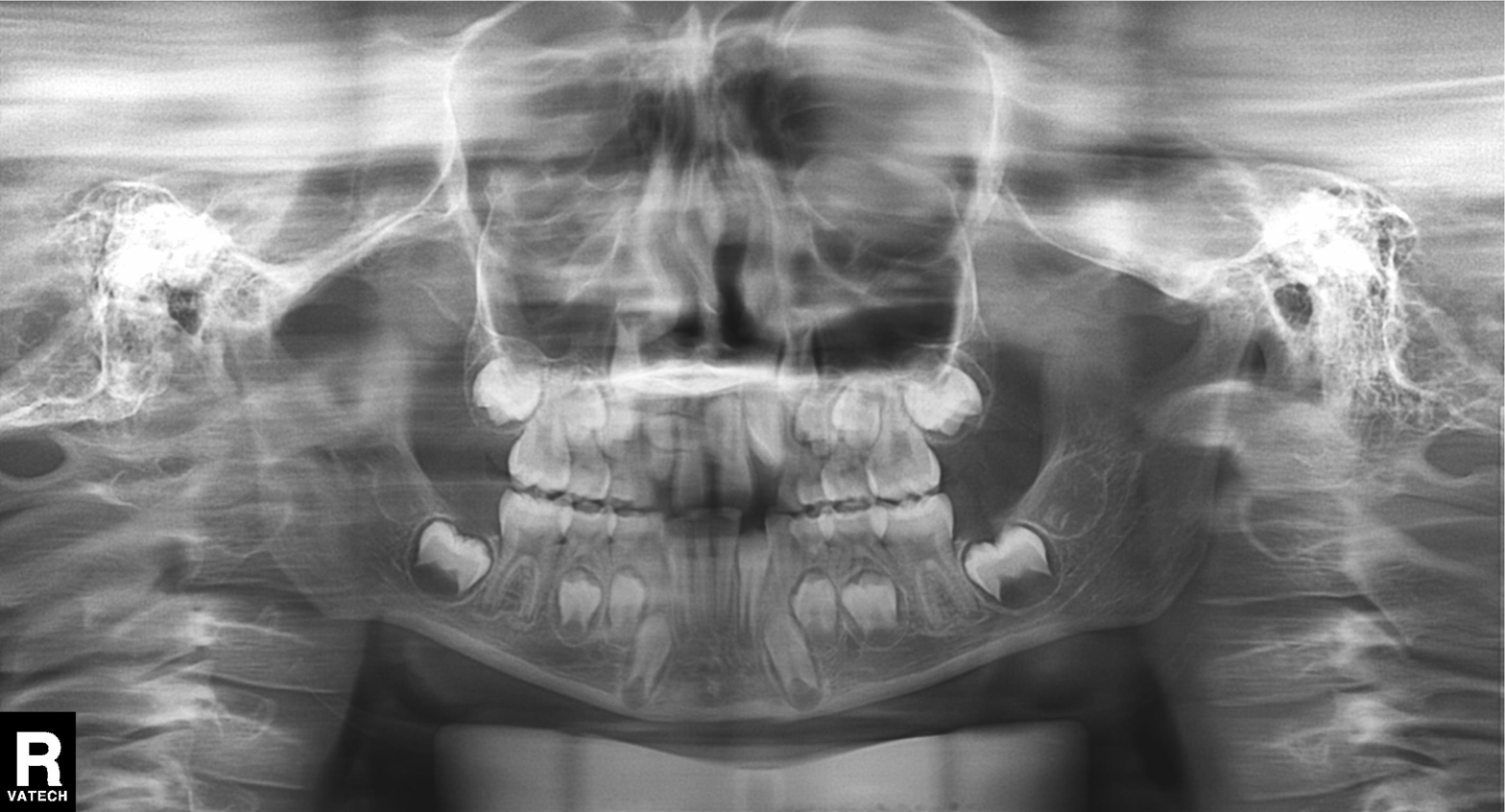
Panoramic dental radiograph (orthopantomogram). Finding: alveolar bone loss.